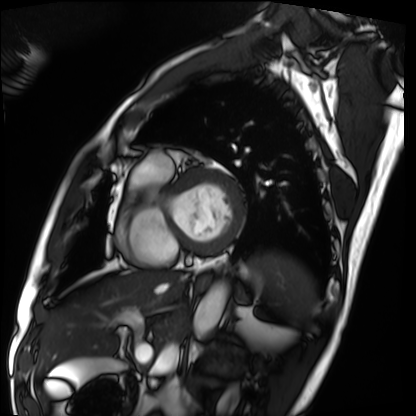
Cardiac MRI.
Subject group: patient.